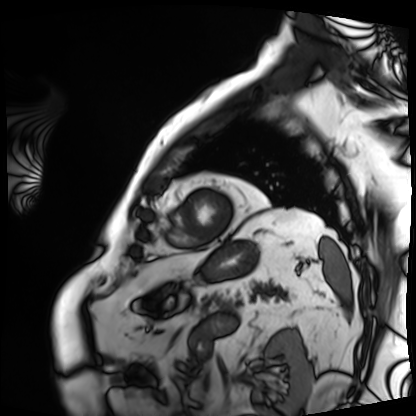
| field | value |
|---|---|
| modality | cardiac MRI |
| subject group | patient |